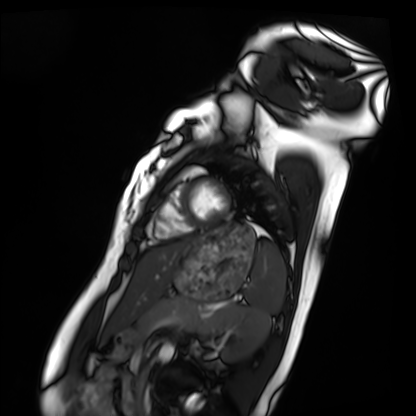
Cardiac MRI. Subject group: healthy volunteer.